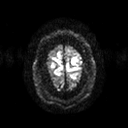
- modality: 3 Tesla brain MRI
- series: diffusion tensor imaging (medium iso)
- study: ring-enhancing brain masses